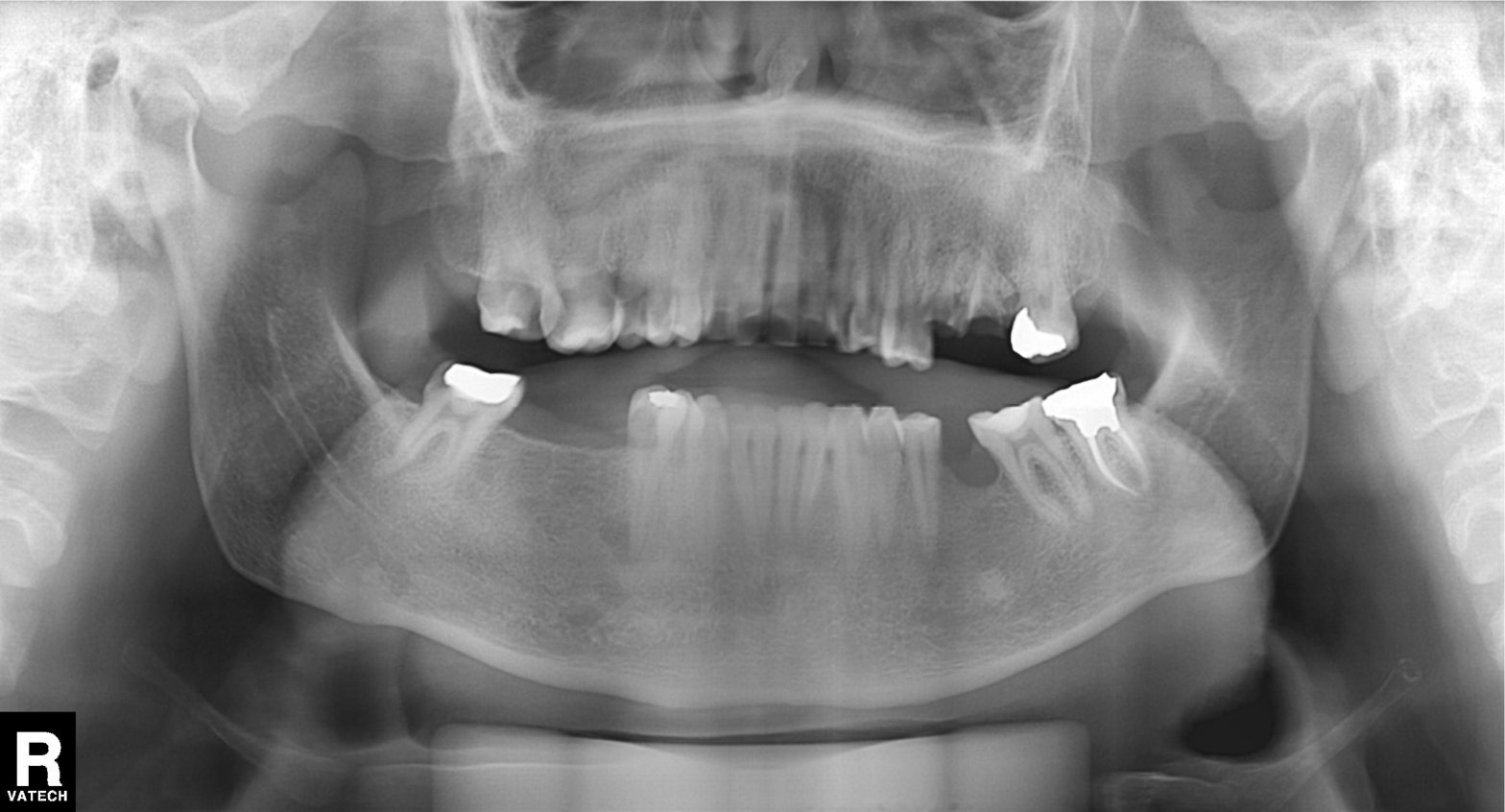
Panoramic dental radiograph (orthopantomogram).
Finding: alveolar bone loss.